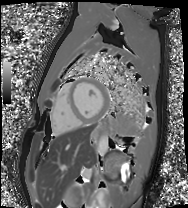
modality — cardiac MRI
subject group — healthy volunteer